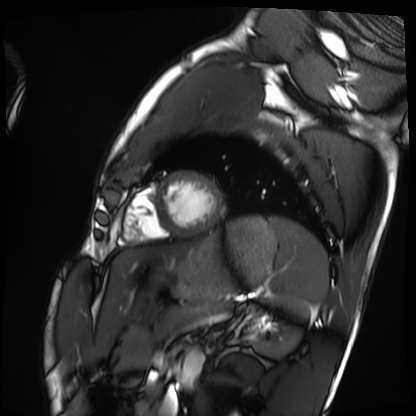
modality=cardiac MRI | subject group=healthy volunteer.